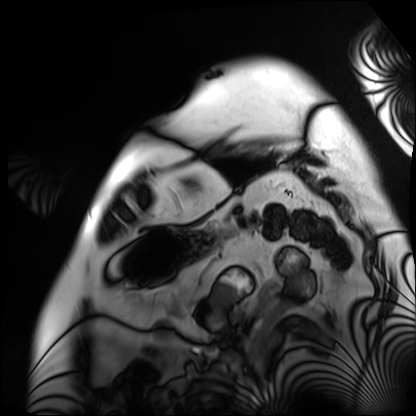
Summary:
Cardiac MRI. Subject group: patient.